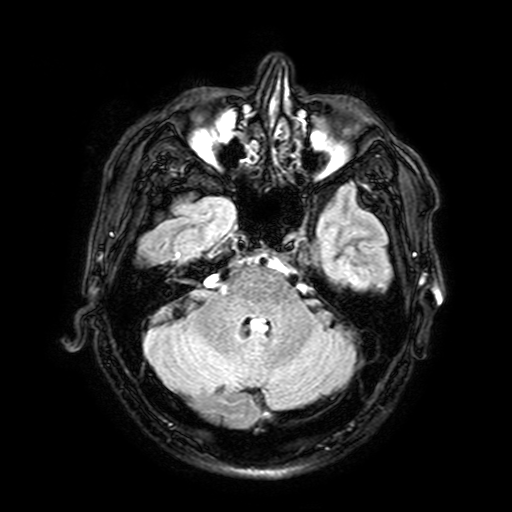
3 Tesla brain MRI. Series: FLAIR with SPAIR, 3 mm. Study: ring-enhancing brain masses.